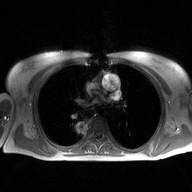
2D phase-contrast cine MRI of the ascending aorta, high-resolution GRAPPA acquisition.